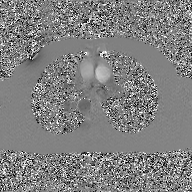
modality = 2D phase-contrast cine MRI of the ascending aorta, GAN super-resolution reconstruction.